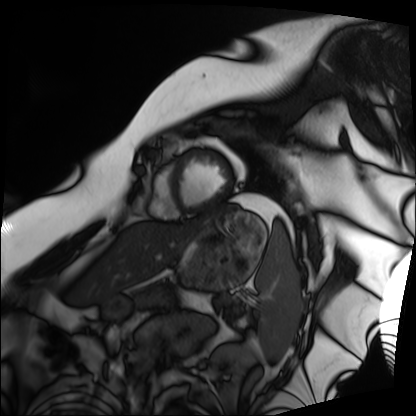
Cardiac MRI. Subject group: patient.